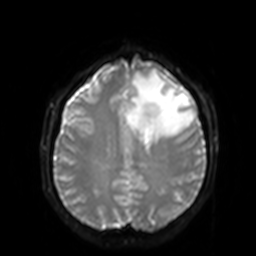
3 Tesla brain MRI.
Series: diffusion-weighted imaging with SENSE (WIP).
Study: ring-enhancing brain masses.